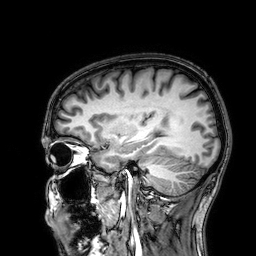
modality: 3 Tesla brain MRI | series: 3D T1-weighted | study: ring-enhancing brain masses.